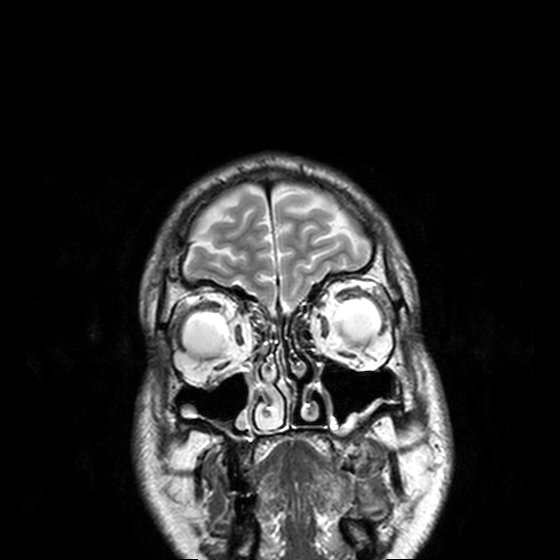
modality — 3 Tesla brain MRI | series — T2-weighted turbo spin echo, 3 mm | study — ring-enhancing brain masses.